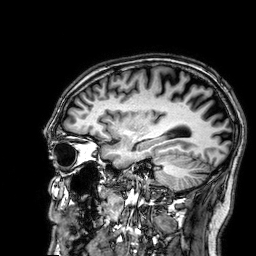
modality: 3 Tesla brain MRI | series: 3D T1-weighted | study: ring-enhancing brain masses.